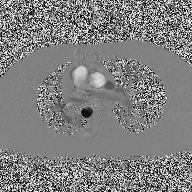
Case:
• modality: 2D phase-contrast cine MRI of the ascending aorta